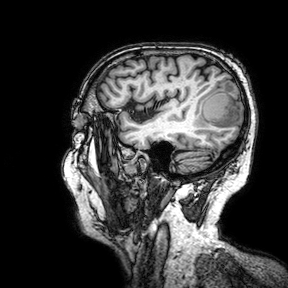
3 Tesla brain MRI. Series: 3D T1-weighted turbo field echo with SENSE. Study: ring-enhancing brain masses.